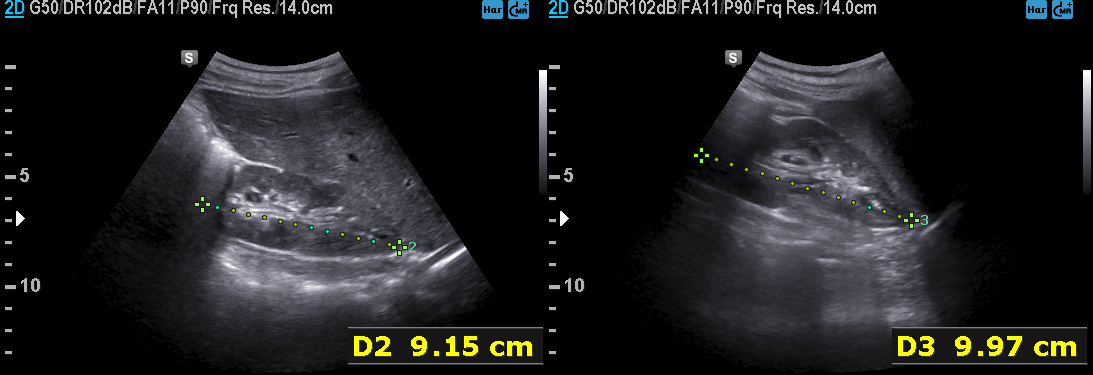
Genitourinary ultrasound.